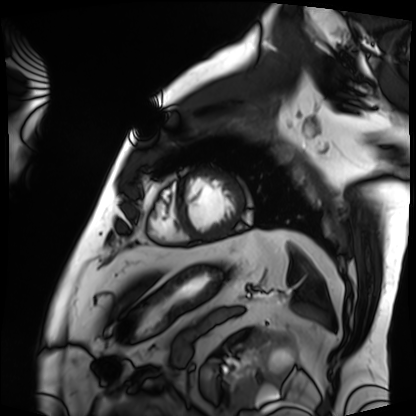
Case summary: Cardiac MRI. Subject group: patient.